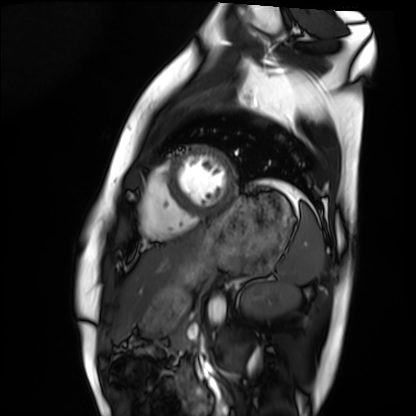
Clinical context:
Cardiac MRI. Subject group: healthy volunteer.